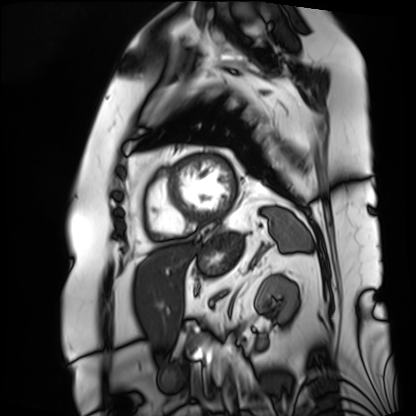
Cardiac MRI. Subject group: patient.